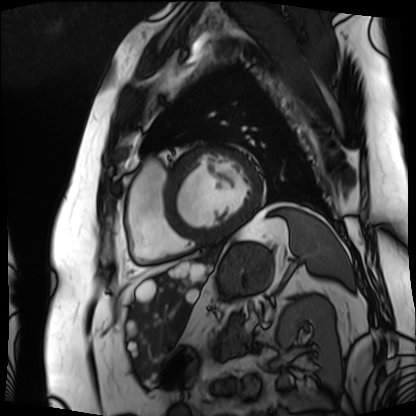
Summary: Cardiac MRI. Subject group: patient.